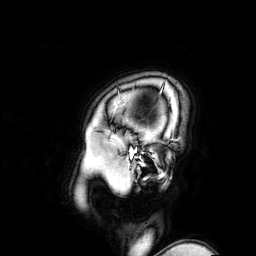
– modality: 3 Tesla brain MRI
– series: 3D T1-weighted turbo field echo with SENSE
– study: ring-enhancing brain masses